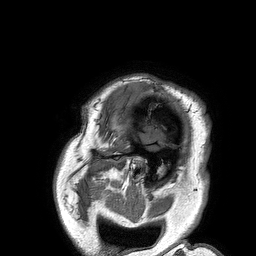
Q: What kind of scan is this?
A: 3 Tesla brain MRI.
Q: Series?
A: 3D T1-weighted turbo field echo.
Study: ring-enhancing brain masses.